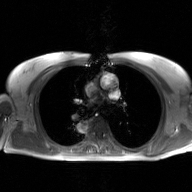
Case summary:
2D phase-contrast cine MRI of the ascending aorta, GAN super-resolution reconstruction.